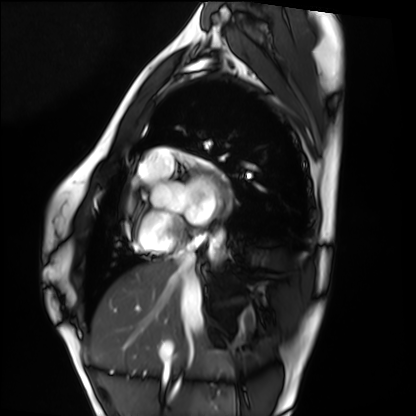
Case summary:
Cardiac MRI. Subject group: healthy volunteer.